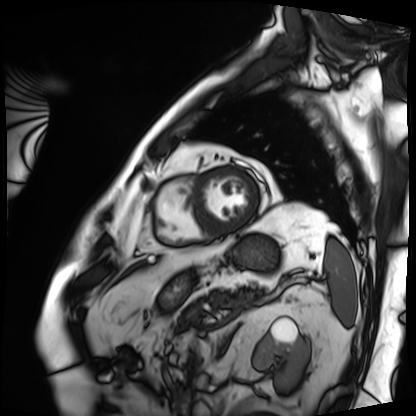
Summary:
Cardiac MRI. Subject group: patient.